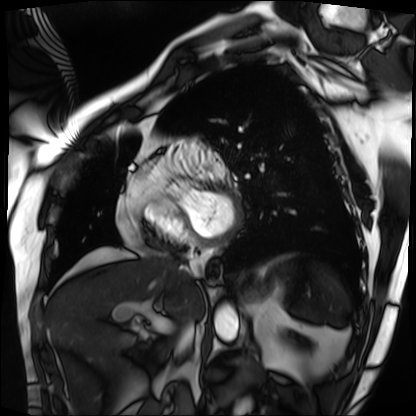
{
  "modality": "cardiac MRI",
  "cohort": "patient"
}